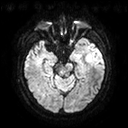
modality: 3 Tesla brain MRI
series: diffusion tensor imaging (medium iso)
study: ring-enhancing brain masses